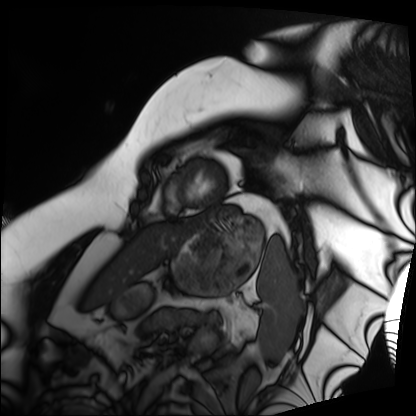
Cardiac MRI. Subject group: patient.